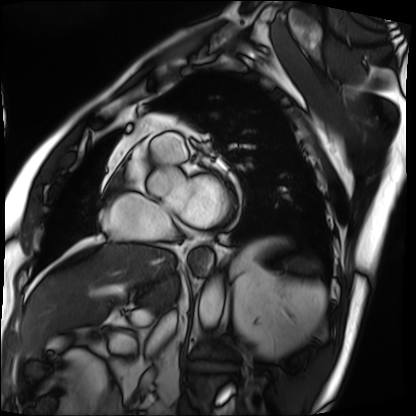
Clinical context:
Cardiac MRI. Subject group: patient.